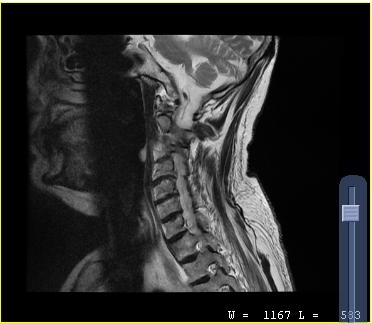
Case:
– modality: MRI of the cervical spine
– study: cervical spondylosis